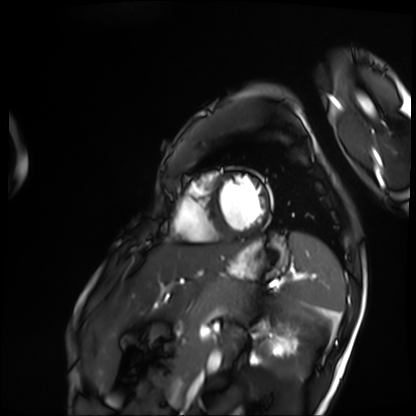
Cardiac MRI.
Subject group: patient.